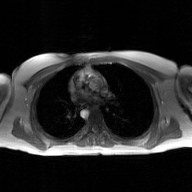
2D phase-contrast cine MRI of the ascending aorta, GAN super-resolution reconstruction.